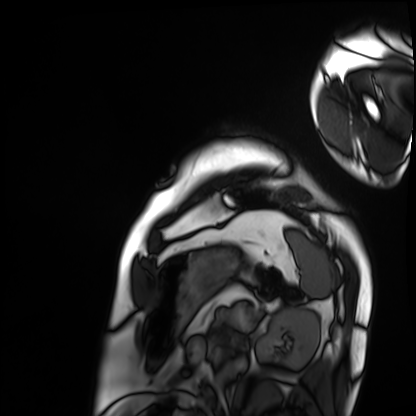
Cardiac MRI.
Subject group: patient.